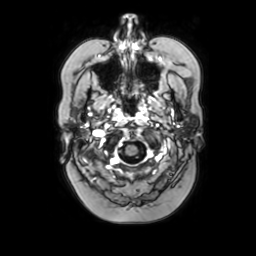
3 Tesla brain MRI.
Series: axial with contrast.
Study: ring-enhancing brain masses.